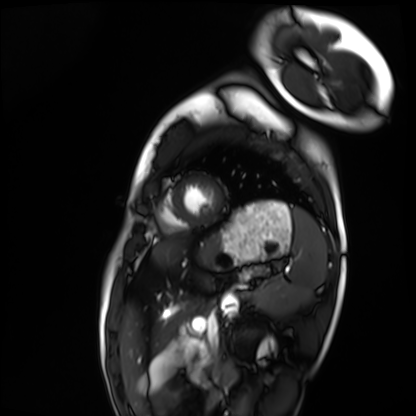
Summary: Cardiac MRI. Subject group: healthy volunteer.